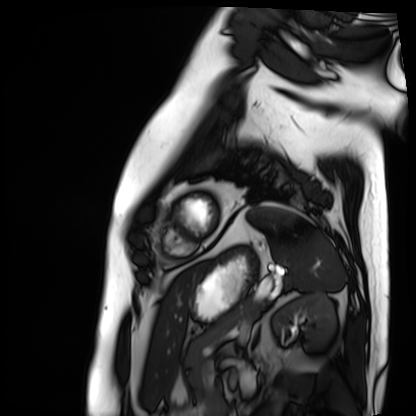
modality: cardiac MRI
cohort: patient